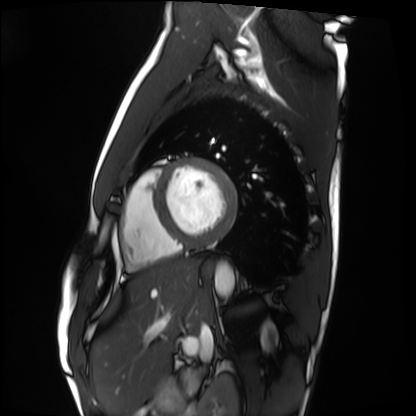
| field | value |
|---|---|
| modality | cardiac MRI |
| subject group | healthy volunteer |